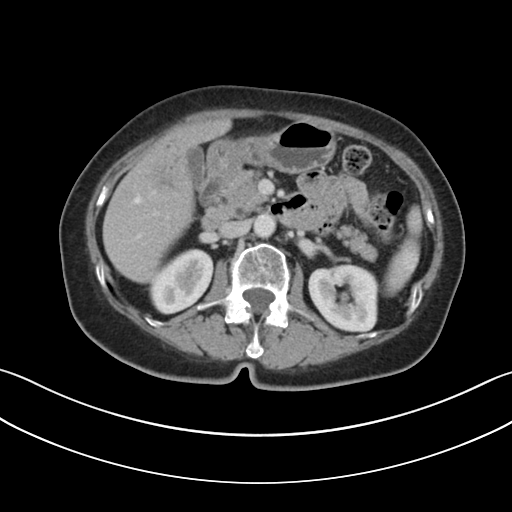
Multiphase abdominal CT, liver, portal venous phase. Patient: female, age 69.